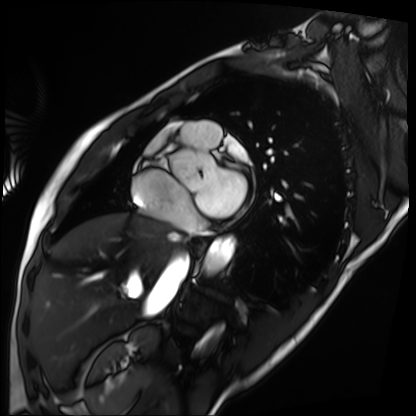
  modality: cardiac MRI
  cohort: patient